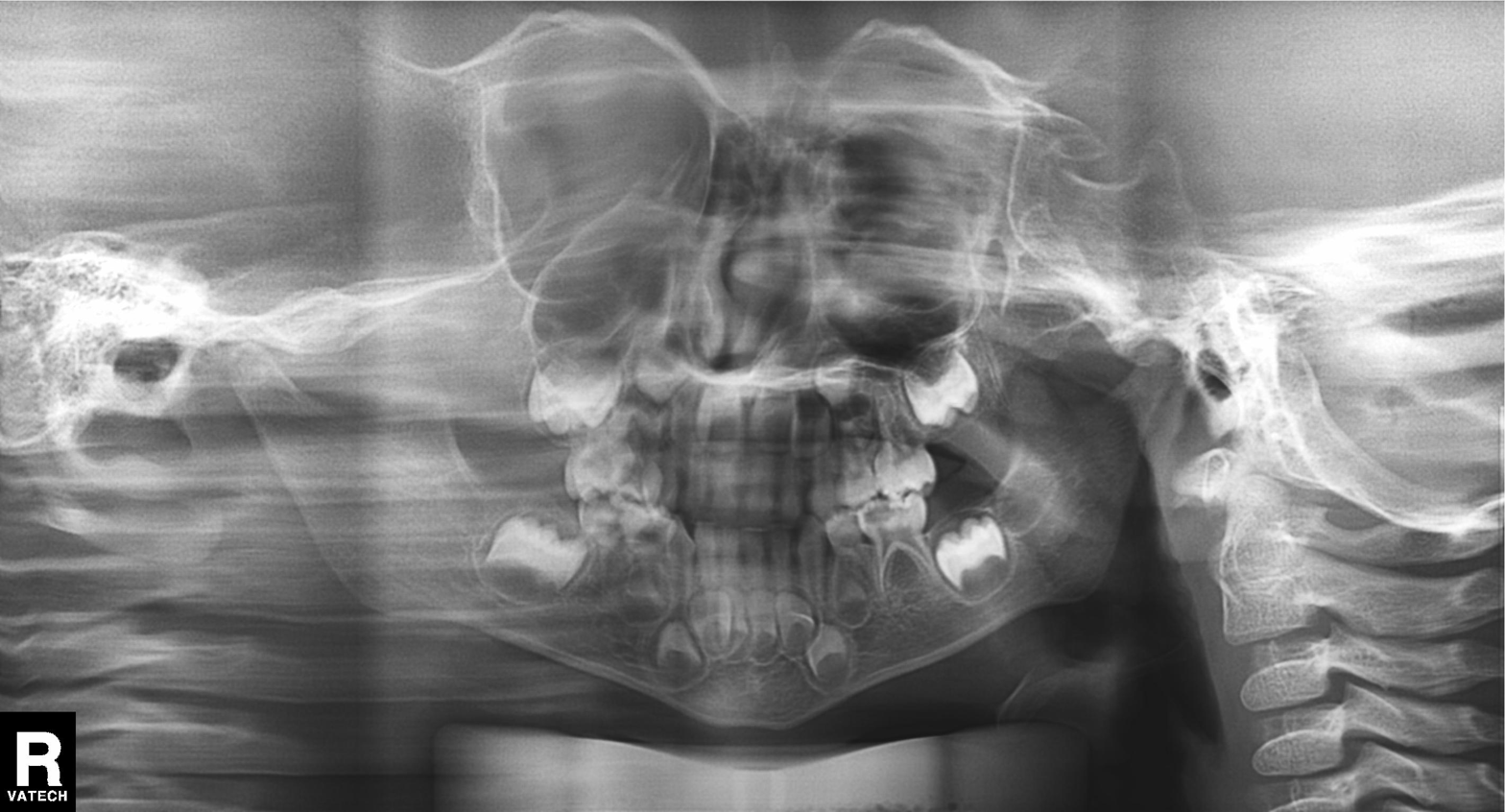
modality = panoramic dental radiograph (orthopantomogram)
finding = tooth impaction